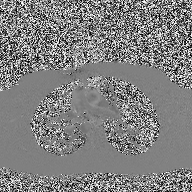
2D phase-contrast cine MRI of the ascending aorta, high-resolution GRAPPA acquisition.